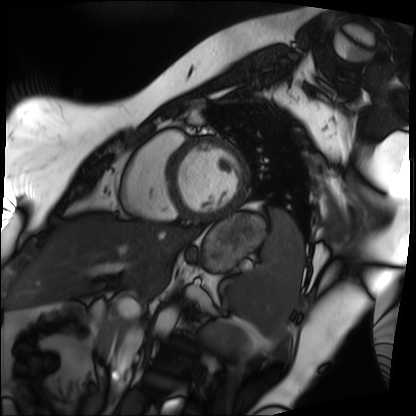
Cardiac MRI. Subject group: patient.